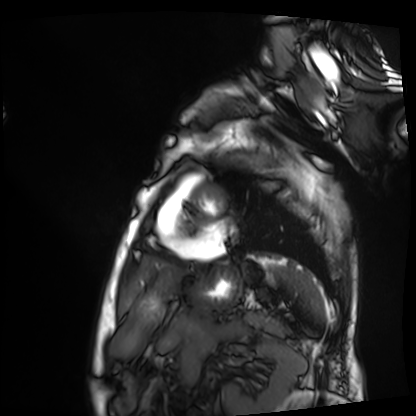
Cardiac MRI.
Subject group: patient.